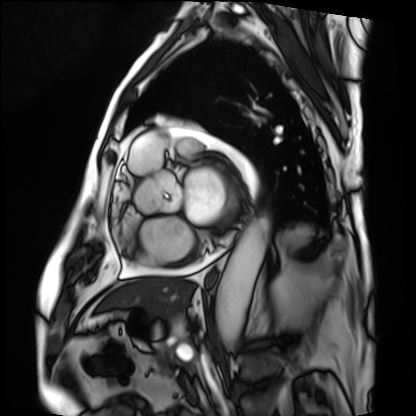
Cardiac MRI. Subject group: patient.